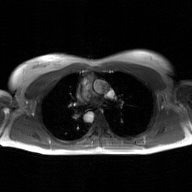
2D phase-contrast cine MRI of the ascending aorta, GAN super-resolution reconstruction.